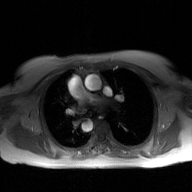
Case:
- modality · 2D phase-contrast cine MRI of the ascending aorta, GAN super-resolution reconstruction